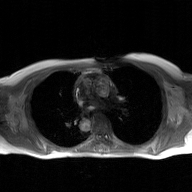
  modality:
    type: 2D phase-contrast cine MRI
    region: ascending aorta
    reconstruction: GAN super-resolution reconstruction